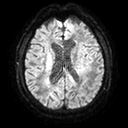
3 Tesla brain MRI. Series: diffusion tensor imaging (medium iso). Study: ring-enhancing brain masses.